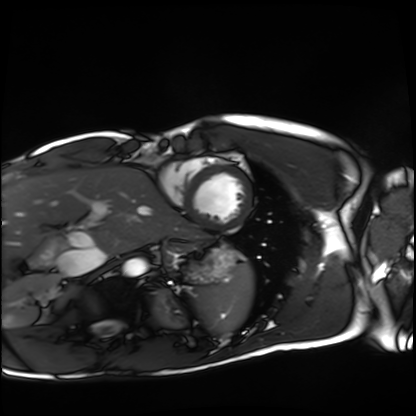
<record>
<modality>cardiac MRI</modality>
<cohort>healthy volunteer</cohort>
</record>